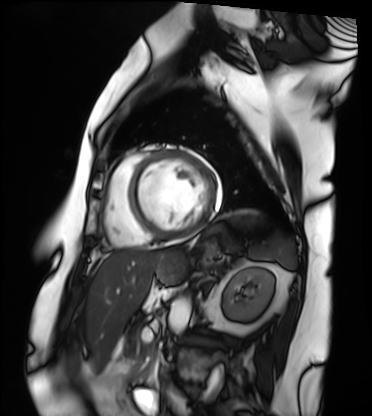
<case>
  <modality>cardiac MRI</modality>
  <cohort>patient</cohort>
</case>